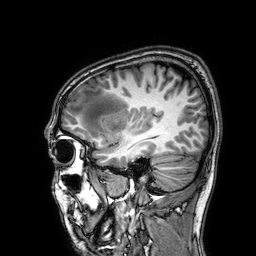
Case:
– modality: 3 Tesla brain MRI
– series: 3D T1-weighted
– study: ring-enhancing brain masses